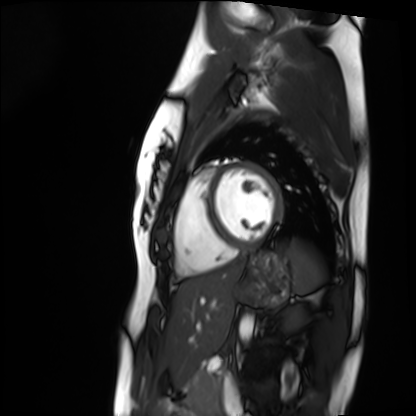
Cardiac MRI. Subject group: healthy volunteer.